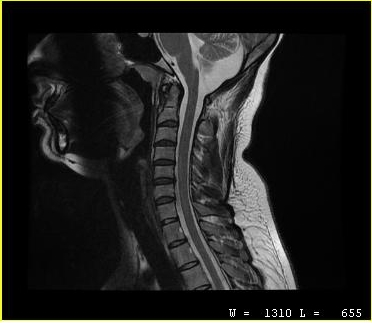
Case:
- modality — MRI of the cervical spine
- study — cervical spondylosis